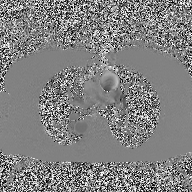
2D phase-contrast cine MRI of the ascending aorta, high-resolution GRAPPA acquisition.